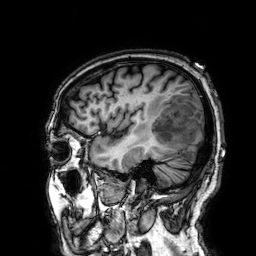
{"modality": {"type": "brain MRI", "field_strength": "3T"}, "series": "3D T1-weighted", "study_topic": "ring-enhancing brain masses"}